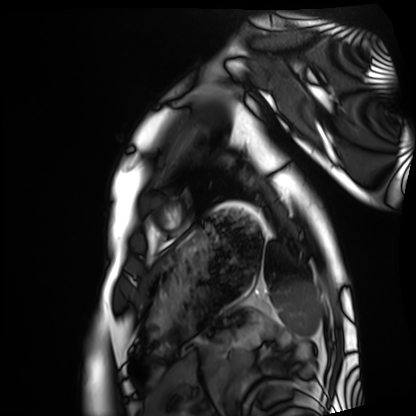
Cardiac MRI.
Subject group: healthy volunteer.